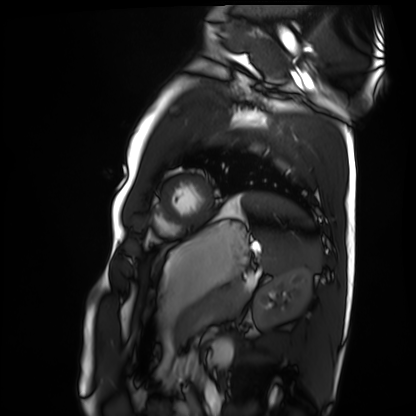
modality=cardiac MRI
subject group=healthy volunteer